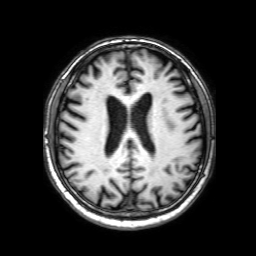
- modality · 3 Tesla brain MRI
- series · 3D T1-weighted with SENSE
- study · ring-enhancing brain masses